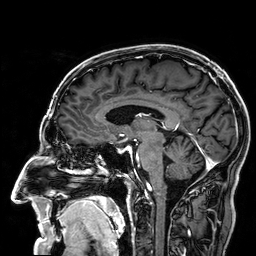
3 Tesla brain MRI. Series: 3D T1-weighted. Study: ring-enhancing brain masses.